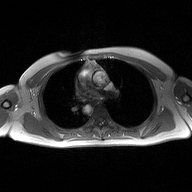
2D phase-contrast cine MRI of the ascending aorta, high-resolution GRAPPA acquisition.